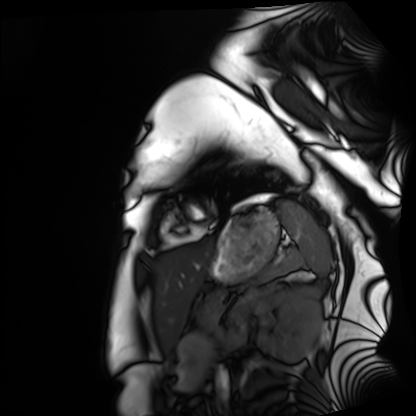
Cardiac MRI.
Subject group: healthy volunteer.